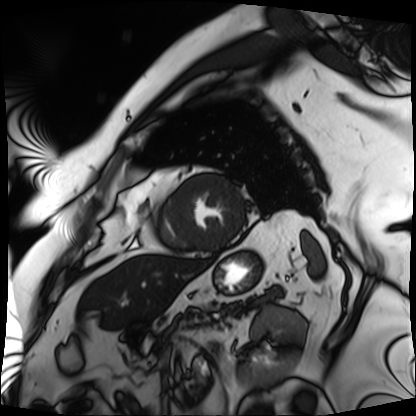
modality — cardiac MRI; subject group — patient.